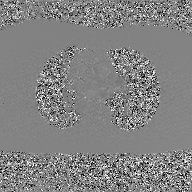
Summary:
2D phase-contrast cine MRI of the ascending aorta, GAN super-resolution reconstruction.